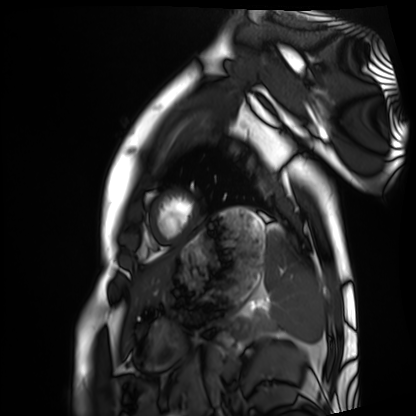
modality: cardiac MRI; subject group: healthy volunteer.